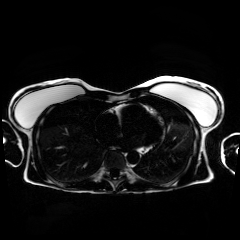
{
  "modality": "chemical-shift-encoded cardiac MRI"
}